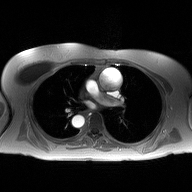
2D phase-contrast cine MRI of the ascending aorta, high-resolution GRAPPA acquisition.